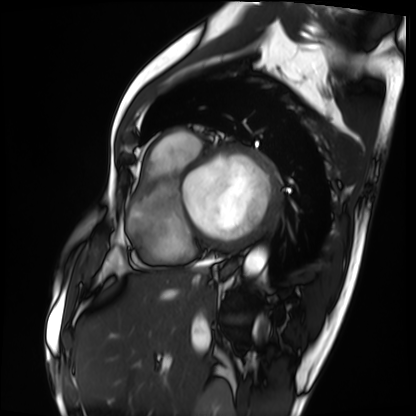
– modality: cardiac MRI
– subject group: patient